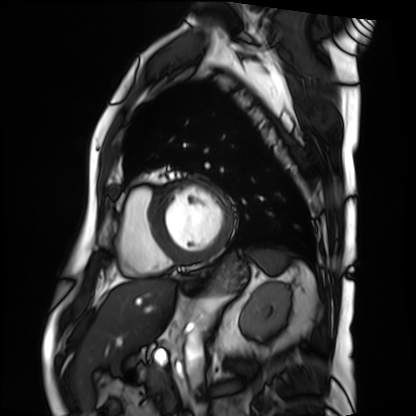
* modality · cardiac MRI
* subject group · patient